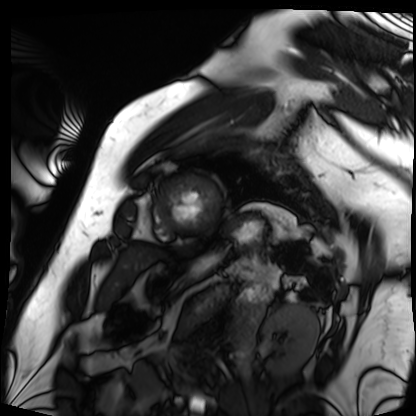
- modality · cardiac MRI
- subject group · patient